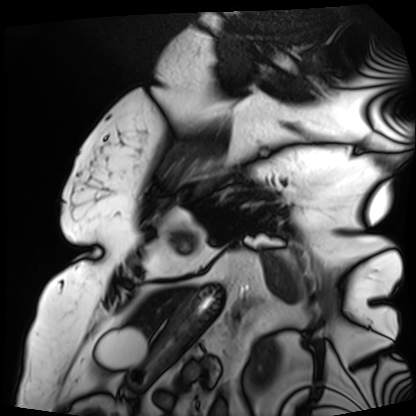
modality: cardiac MRI
subject group: patient